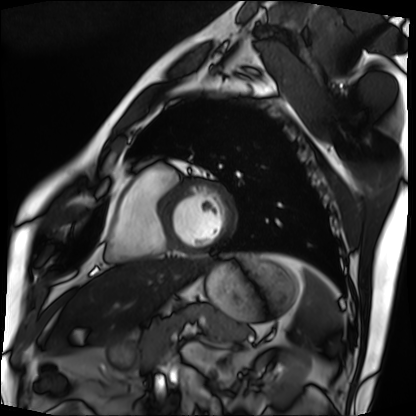
modality = cardiac MRI
subject group = patient